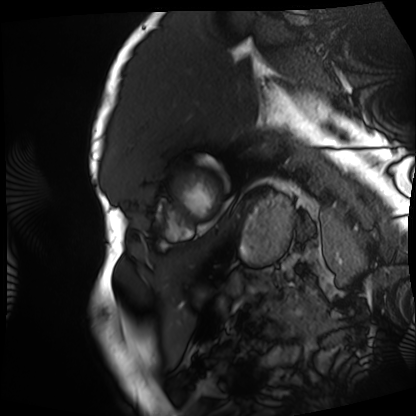
Cardiac MRI.
Subject group: patient.